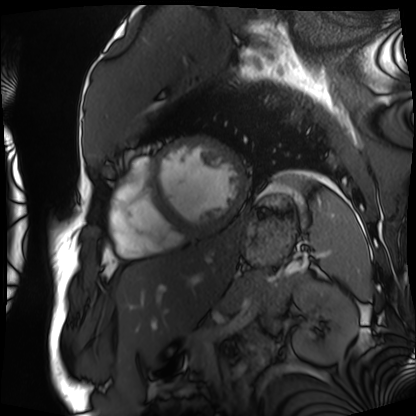
modality = cardiac MRI; subject group = patient.